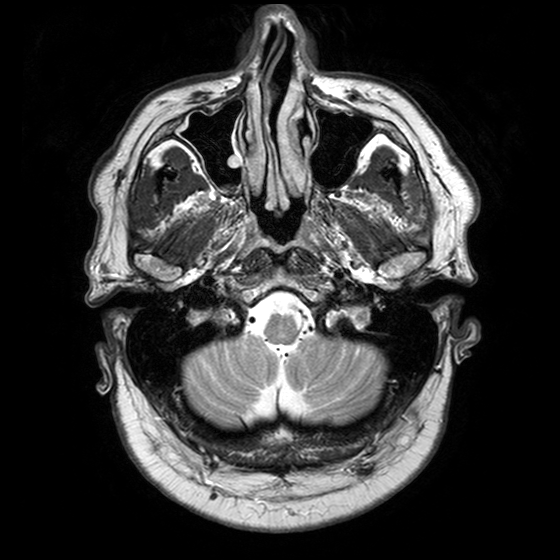
<record>
<modality>
  <type>brain MRI</type>
  <field_strength>3T</field_strength>
</modality>
<series>T2-weighted turbo spin echo with SENSE</series>
<study_topic>ring-enhancing brain masses</study_topic>
</record>